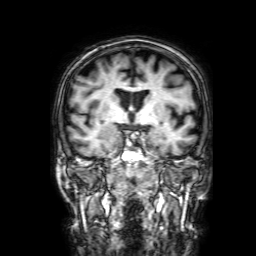
3 Tesla brain MRI.
Series: 3D T1-weighted with SENSE.
Study: ring-enhancing brain masses.